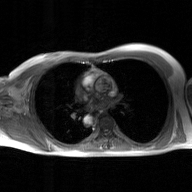
2D phase-contrast cine MRI of the ascending aorta, GAN super-resolution reconstruction.